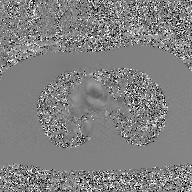
2D phase-contrast cine MRI of the ascending aorta, GAN super-resolution reconstruction.